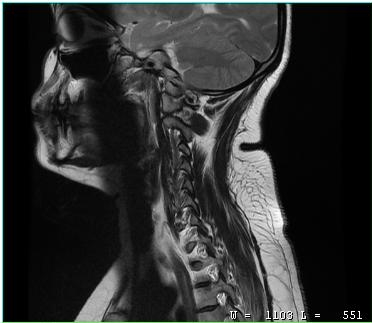
MRI of the cervical spine. Study: cervical spondylosis.